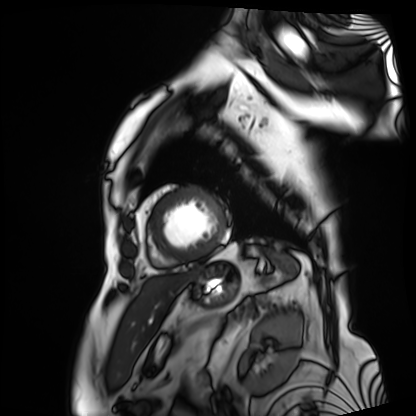
Summary:
Cardiac MRI. Subject group: patient.